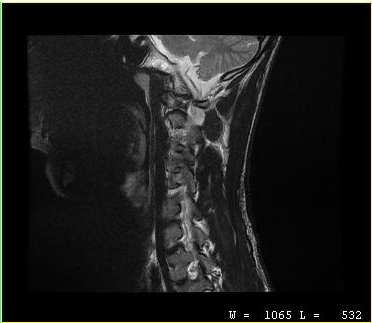
Case:
– modality — MRI of the cervical spine
– study — cervical spondylosis